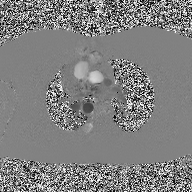
2D phase-contrast cine MRI of the ascending aorta, high-resolution GRAPPA acquisition.